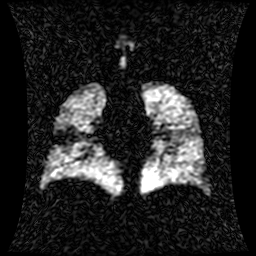
• modality — hyperpolarized 129Xe ventilation MRI of the lungs
• SNR level — 1 of 8 (the deposit holds this scan as its native image and as seven SNR-degraded versions)